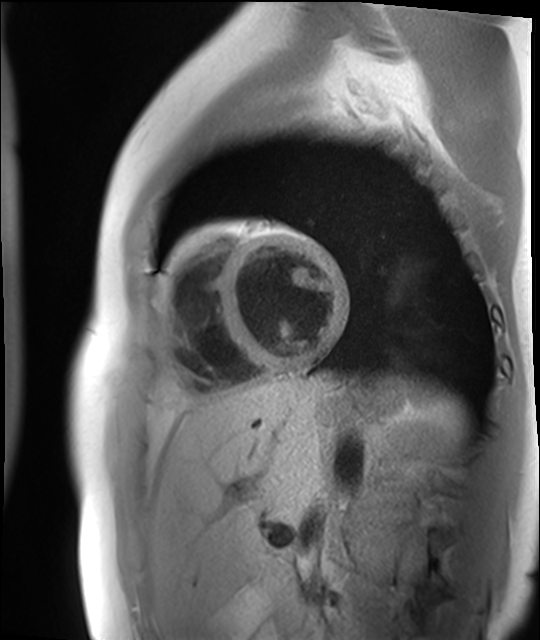
Cardiac MR image of the myocardium. Subject cohort: healthy volunteer.